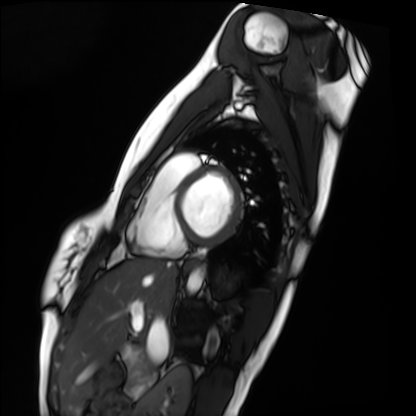
modality = cardiac MRI, subject group = healthy volunteer.